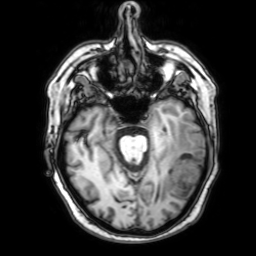
Case:
* modality: 3 Tesla brain MRI
* series: 3D T1-weighted with SENSE
* study: ring-enhancing brain masses